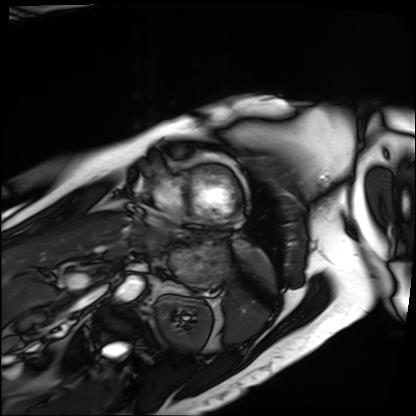
modality — cardiac MRI; subject group — patient.